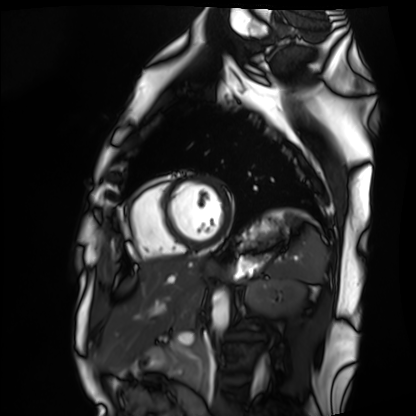
{
  "modality": "cardiac MRI",
  "cohort": "healthy volunteer"
}